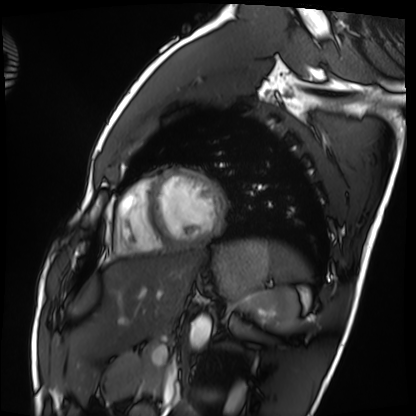
• modality: cardiac MRI
• subject group: healthy volunteer